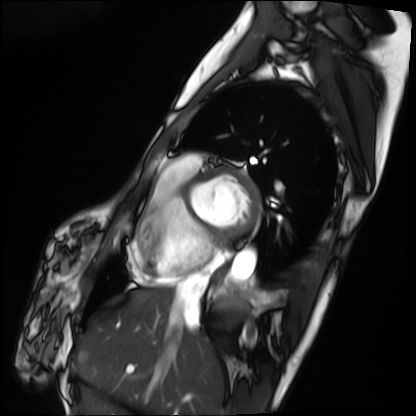
modality = cardiac MRI | subject group = patient.